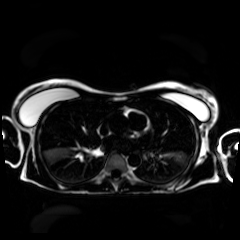
Q: What kind of scan is this?
A: Chemical-shift-encoded cardiac MRI.